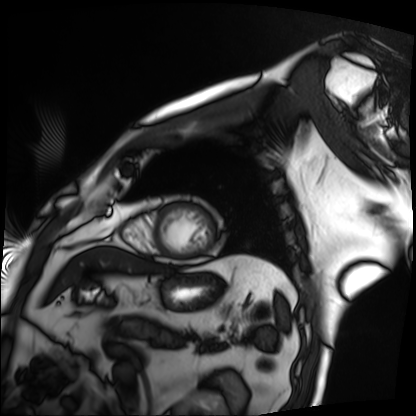
modality = cardiac MRI | subject group = patient.